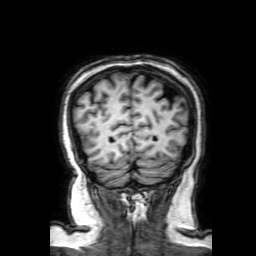
Q: What kind of scan is this?
A: 3 Tesla brain MRI.
Study: ring-enhancing brain masses.